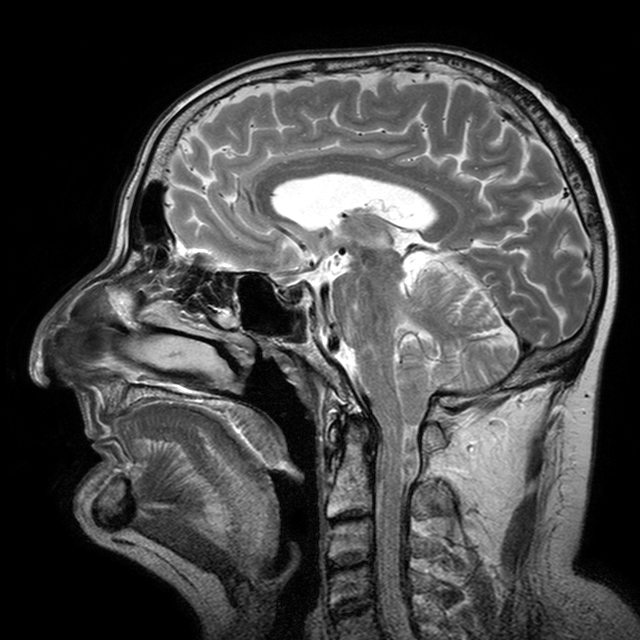
modality: 3 Tesla brain MRI; study: ring-enhancing brain masses.